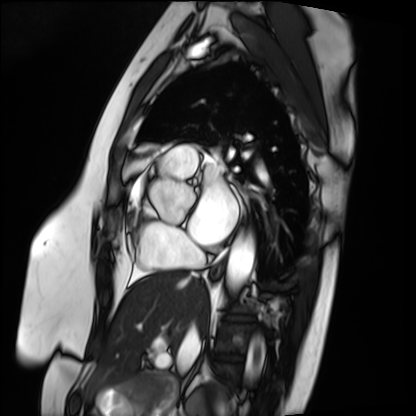
modality: cardiac MRI, subject group: patient.